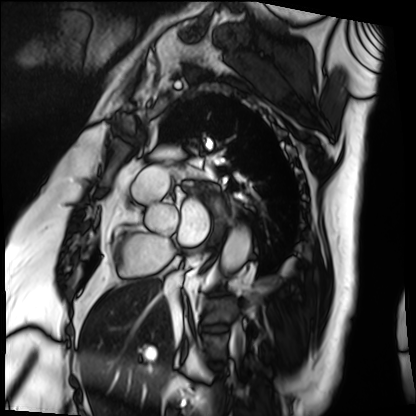
modality — cardiac MRI; subject group — patient.